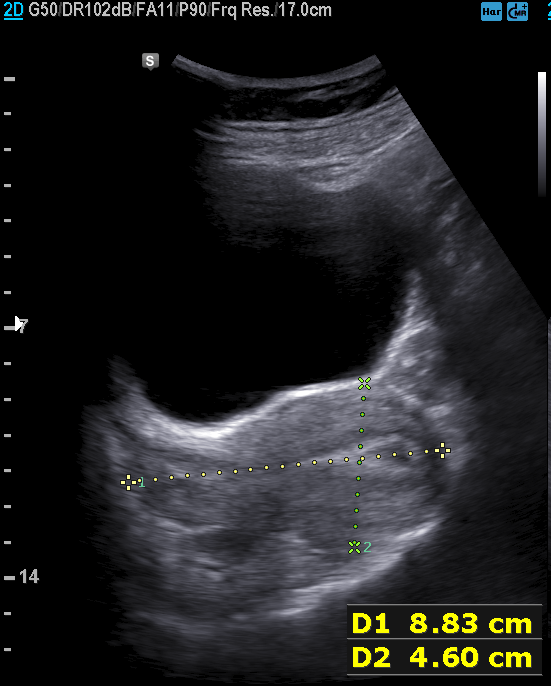
Genitourinary ultrasound.